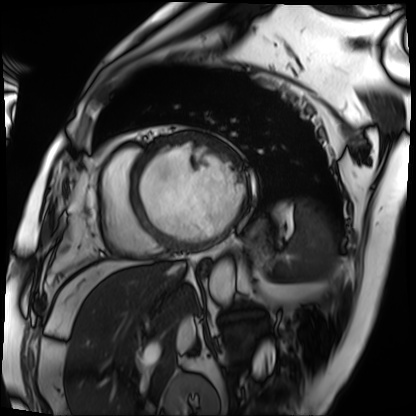
Cardiac MRI. Subject group: patient.